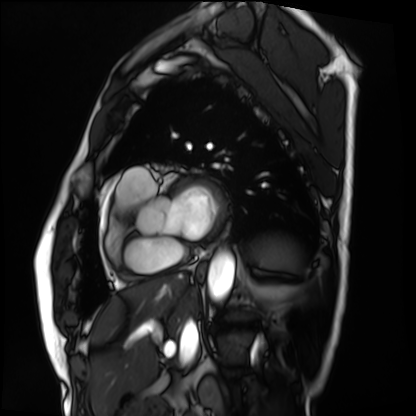
modality = cardiac MRI
subject group = patient